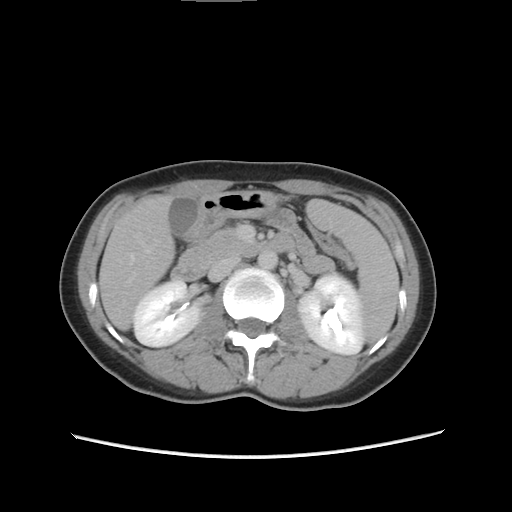
Case summary: Multiphase abdominal CT, liver, delayed phase. Patient: female, age 36.